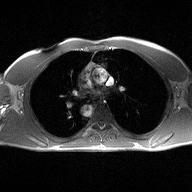
Summary:
2D phase-contrast cine MRI of the ascending aorta, high-resolution GRAPPA acquisition.